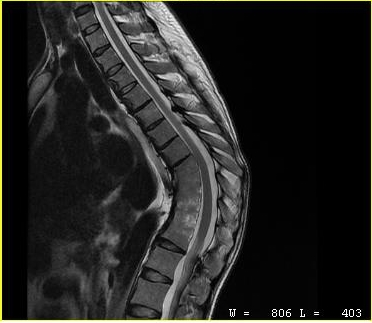
  modality:
    type: cervical spine MRI
  study_topic: cervical spondylosis